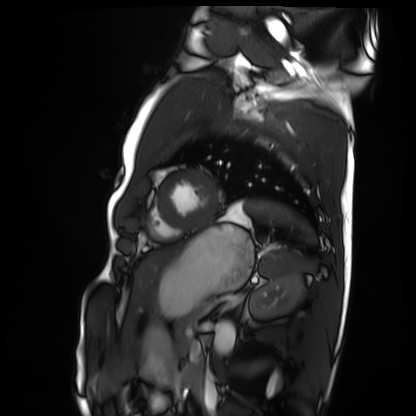
Case summary: Cardiac MRI. Subject group: healthy volunteer.